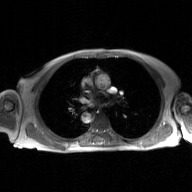
| field | value |
|---|---|
| modality | 2D phase-contrast cine MRI of the ascending aorta, GAN super-resolution reconstruction |